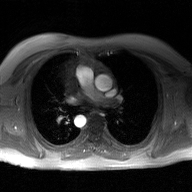
modality — 2D phase-contrast cine MRI of the ascending aorta, GAN super-resolution reconstruction.